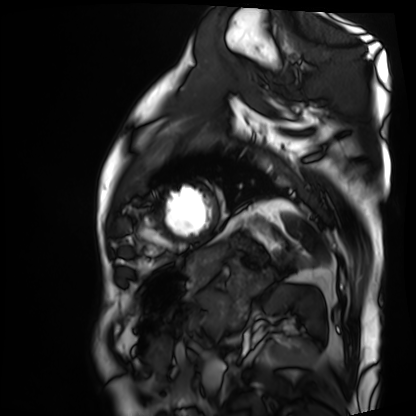
Summary:
Cardiac MRI. Subject group: patient.